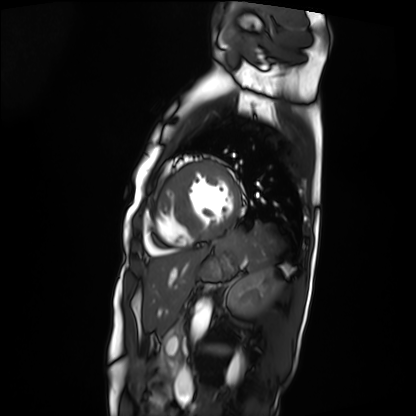
modality=cardiac MRI
subject group=patient